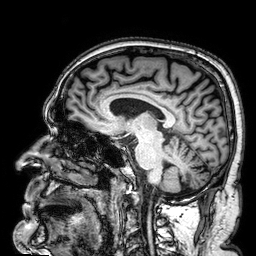
modality = 3 Tesla brain MRI; series = 3D T1-weighted; study = ring-enhancing brain masses.